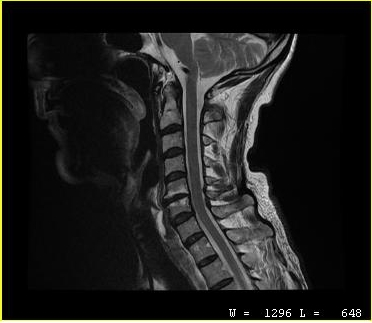
Case summary:
MRI of the cervical spine. Study: cervical spondylosis.